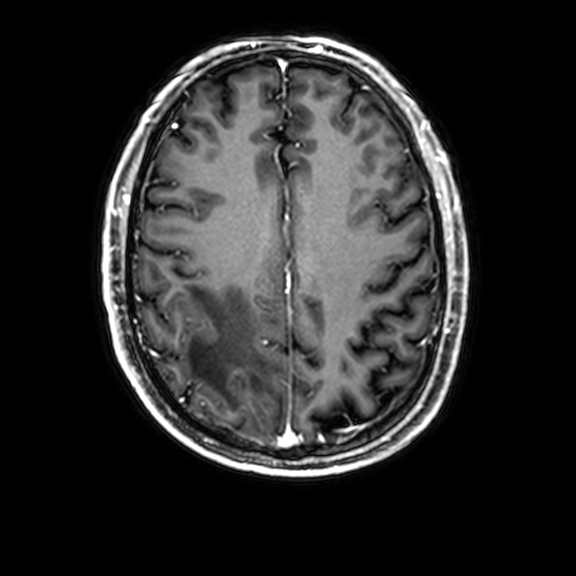
Q: What kind of scan is this?
A: 3 Tesla brain MRI.
Q: Series?
A: 3D T1-weighted with CLEAR.
Study: ring-enhancing brain masses.